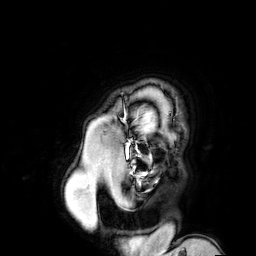
Summary: 3 Tesla brain MRI. Series: 3D T1-weighted turbo field echo with SENSE. Study: ring-enhancing brain masses.